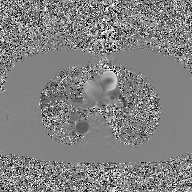
modality — 2D phase-contrast cine MRI of the ascending aorta, GAN super-resolution reconstruction.